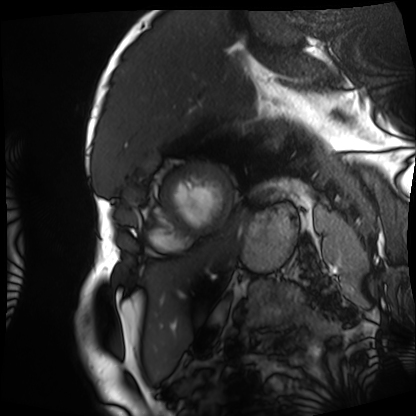
* modality — cardiac MRI
* subject group — patient